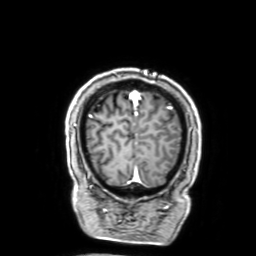
  modality:
    type: brain MRI
    field_strength: 3T
  series: 3D T1-weighted with SENSE
  study_topic: ring-enhancing brain masses